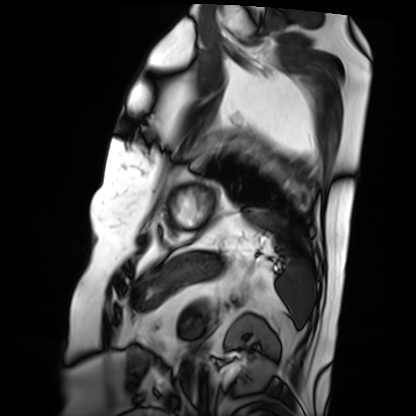
Case summary: Cardiac MRI. Subject group: patient.